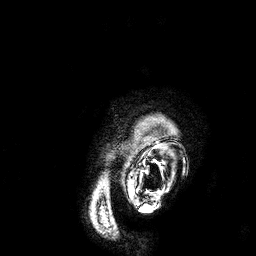
3 Tesla brain MRI.
Series: 3D T1-weighted.
Study: ring-enhancing brain masses.